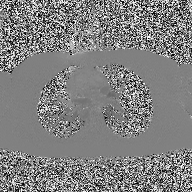
modality = 2D phase-contrast cine MRI of the ascending aorta.